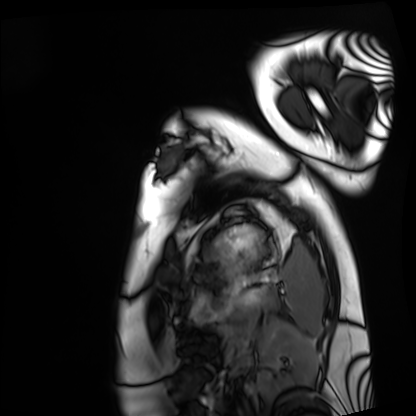
Cardiac MRI. Subject group: healthy volunteer.